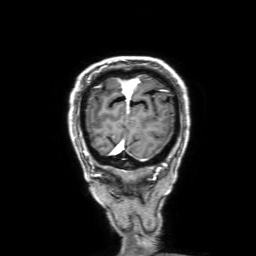
| field | value |
|---|---|
| modality | 3 Tesla brain MRI |
| study | ring-enhancing brain masses |